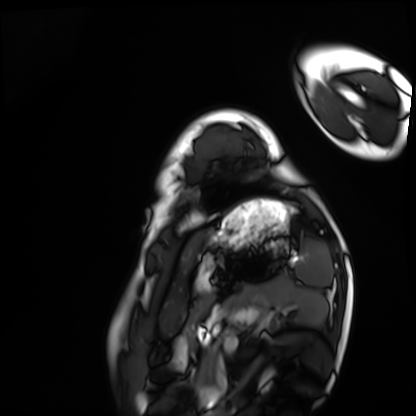
Summary: Cardiac MRI. Subject group: healthy volunteer.